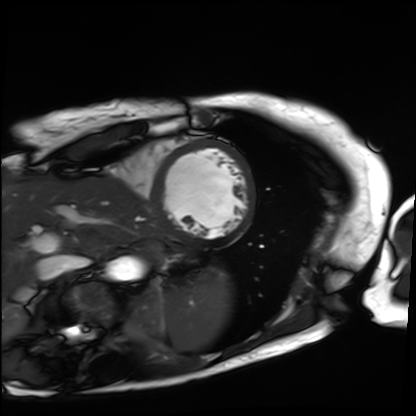
modality: cardiac MRI | subject group: patient.